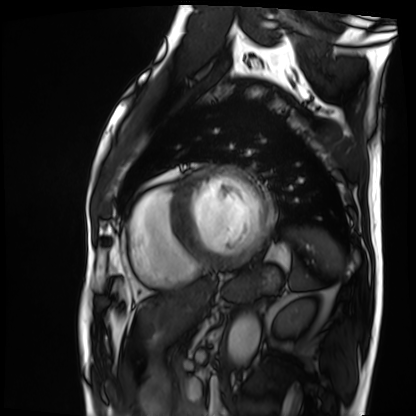
Cardiac MRI.
Subject group: patient.